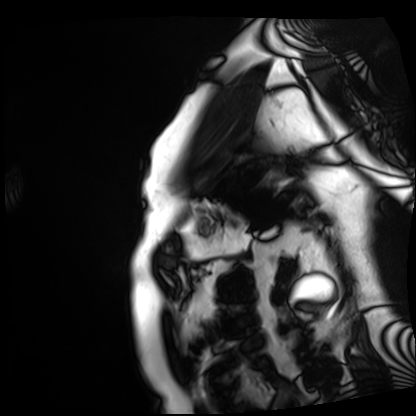
Case summary:
Cardiac MRI. Subject group: patient.